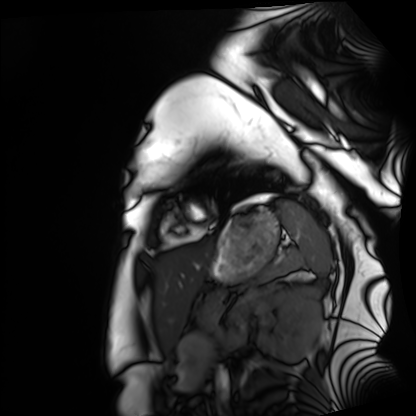
Case summary: Cardiac MRI. Subject group: healthy volunteer.